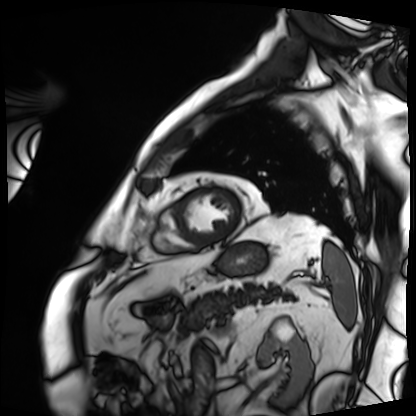
modality — cardiac MRI | subject group — patient.